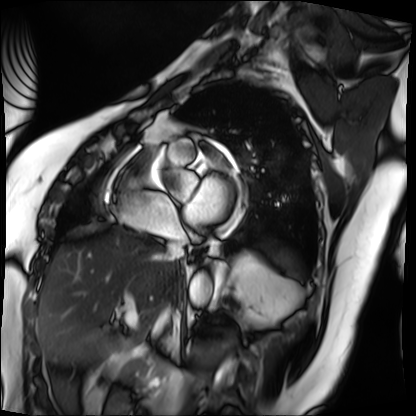
Cardiac MRI. Subject group: patient.